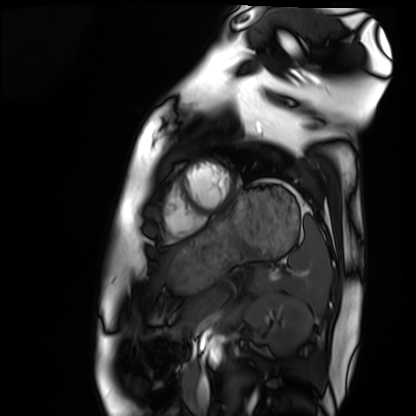
Cardiac MRI.
Subject group: healthy volunteer.